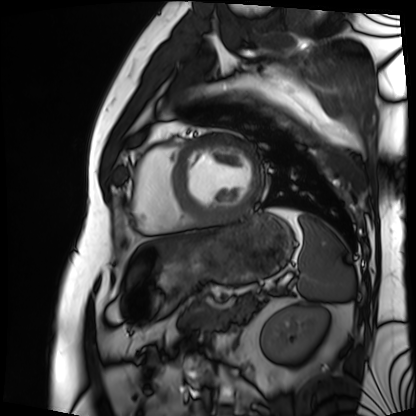
Summary:
Cardiac MRI. Subject group: patient.